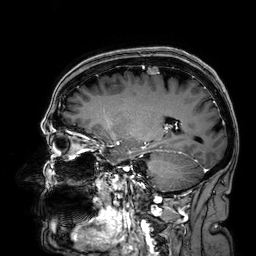
{
  "modality": {
    "type": "brain MRI",
    "field_strength": "3T"
  },
  "series": "3D T1-weighted",
  "study_topic": "ring-enhancing brain masses"
}